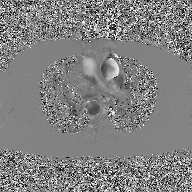
2D phase-contrast cine MRI of the ascending aorta, GAN super-resolution reconstruction.